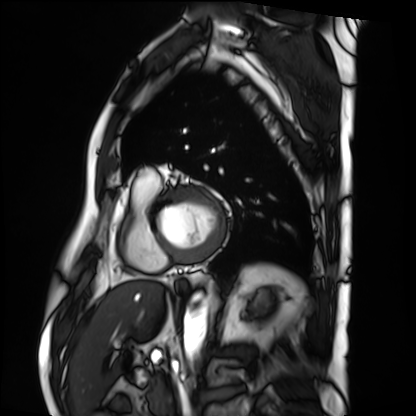
Case:
- modality — cardiac MRI
- subject group — patient